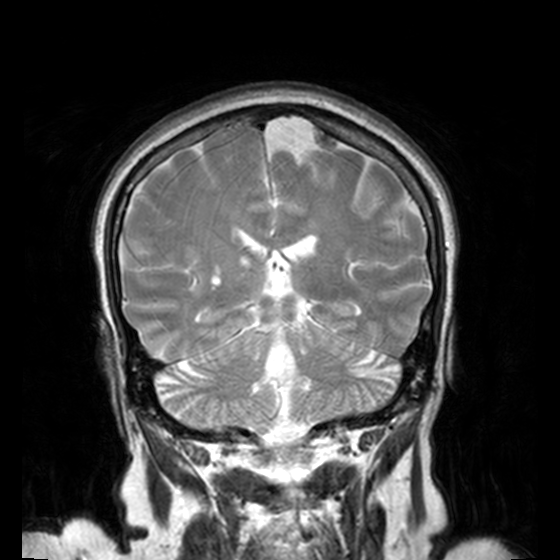
Summary:
3 Tesla brain MRI. Series: T2-weighted turbo spin echo, 3 mm. Study: ring-enhancing brain masses.